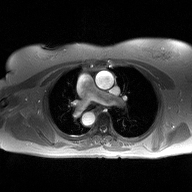
2D phase-contrast cine MRI of the ascending aorta, high-resolution GRAPPA acquisition.